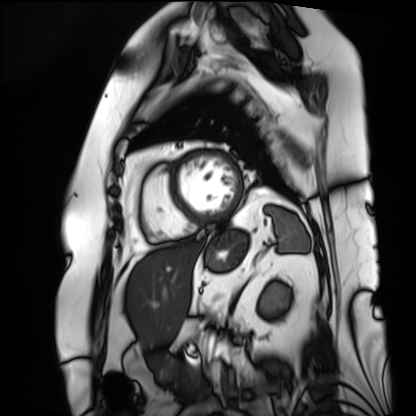
modality = cardiac MRI | subject group = patient.